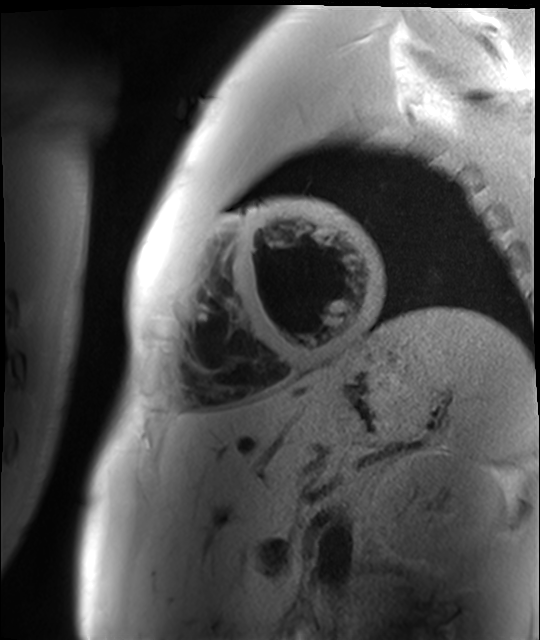
Cardiac MR image of the myocardium. Subject cohort: healthy volunteer.